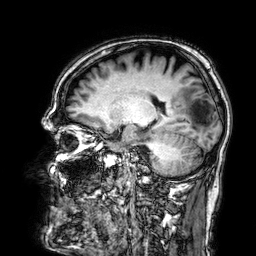
Q: What kind of scan is this?
A: 3 Tesla brain MRI.
Study: ring-enhancing brain masses.